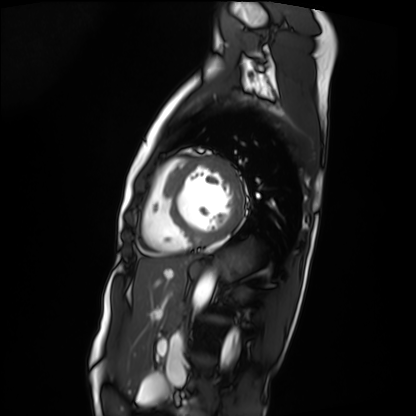
<case>
  <modality>cardiac MRI</modality>
  <cohort>patient</cohort>
</case>